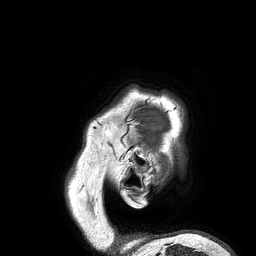
Case:
- modality — 3 Tesla brain MRI
- series — 3D T1-weighted turbo field echo
- study — ring-enhancing brain masses